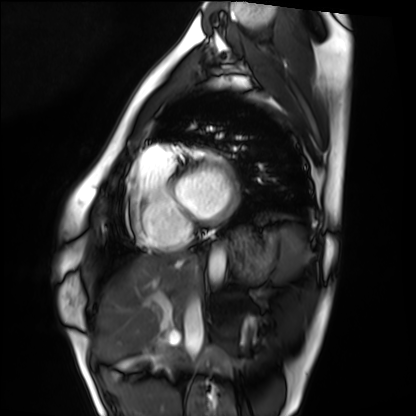
• modality — cardiac MRI
• subject group — healthy volunteer